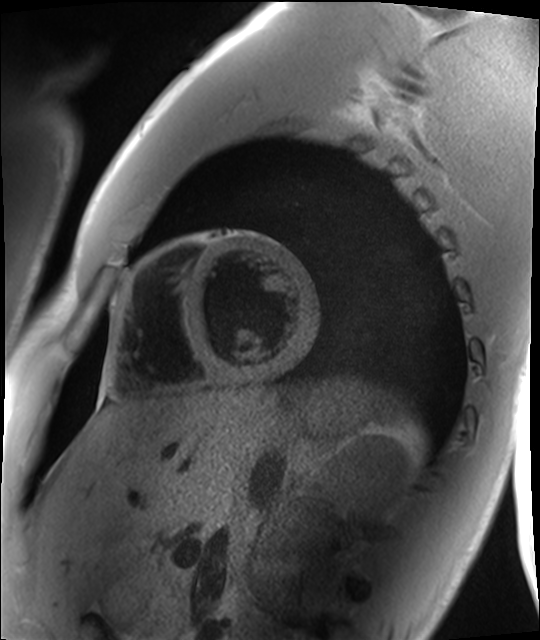
– modality · cardiac MRI
– subject group · healthy volunteer